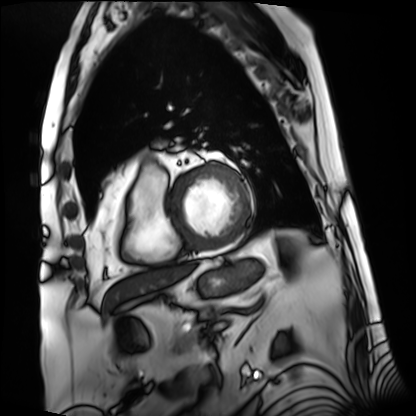
modality: cardiac MRI | subject group: patient.